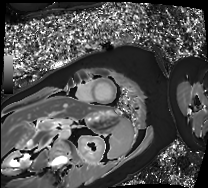
Summary: Cardiac MRI. Subject group: patient.